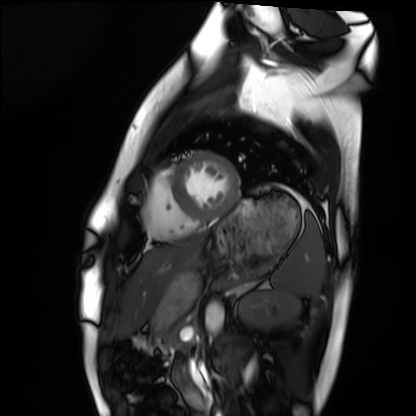
Cardiac MRI.
Subject group: healthy volunteer.